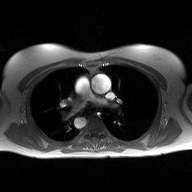
| field | value |
|---|---|
| modality | 2D phase-contrast cine MRI of the ascending aorta |